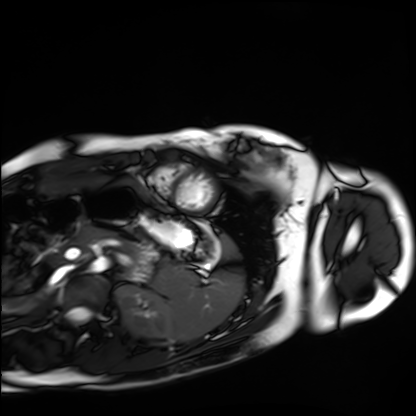
modality=cardiac MRI | subject group=healthy volunteer.